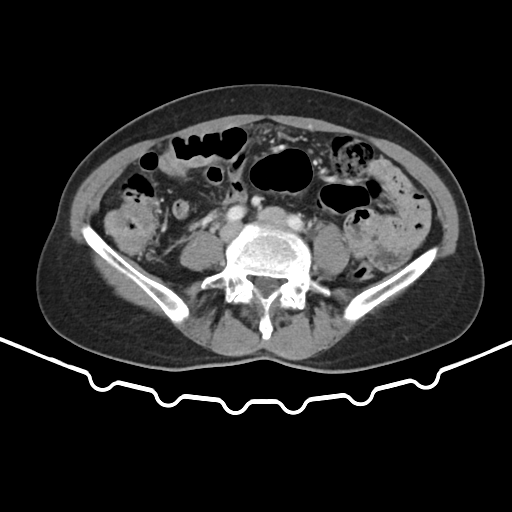
modality: multiphase abdominal CT, liver, portal venous phase
patient: female, age 65